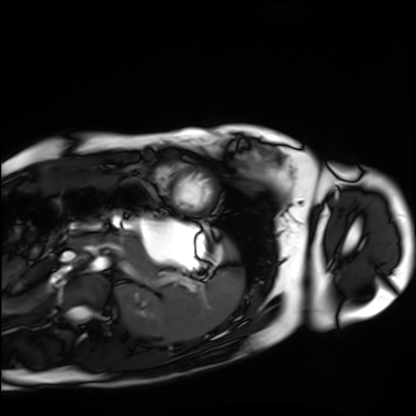
Summary:
Cardiac MRI. Subject group: healthy volunteer.